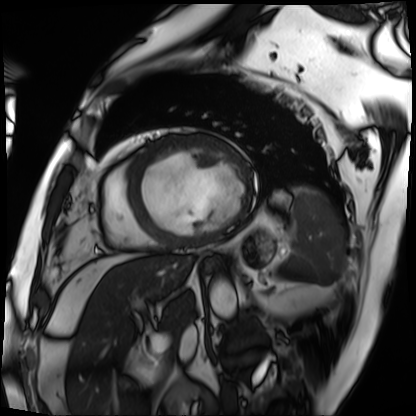
• modality · cardiac MRI
• subject group · patient